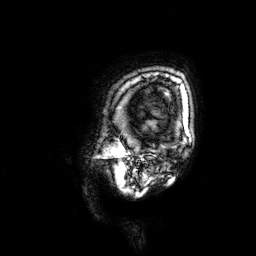
3 Tesla brain MRI. Series: 3D T1-weighted. Study: ring-enhancing brain masses.